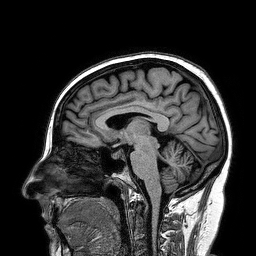
modality=3 Tesla brain MRI | study=ring-enhancing brain masses.